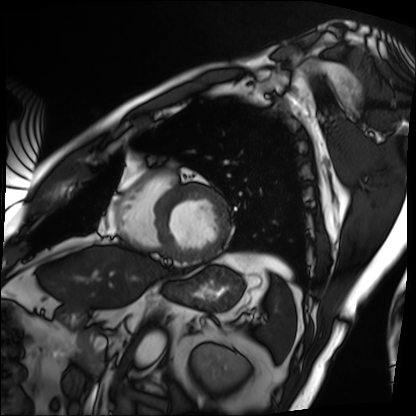
Q: What kind of scan is this?
A: Cardiac MRI.
Subject group: patient.